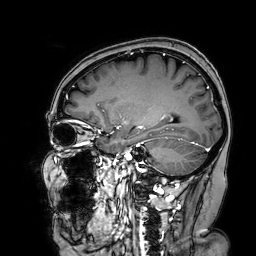
Summary: 3 Tesla brain MRI. Series: 3D T1-weighted turbo field echo with SENSE. Study: ring-enhancing brain masses.